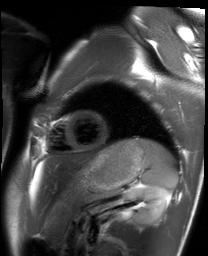
Cardiac MRI. Subject group: healthy volunteer.